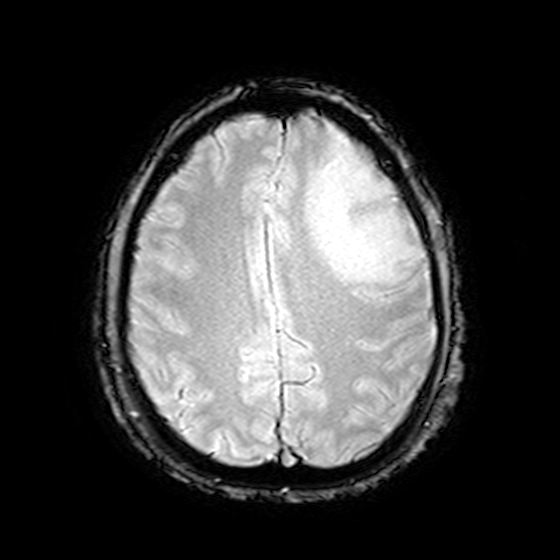
Case summary:
3 Tesla brain MRI. Series: T2-weighted fast field echo. Study: ring-enhancing brain masses.